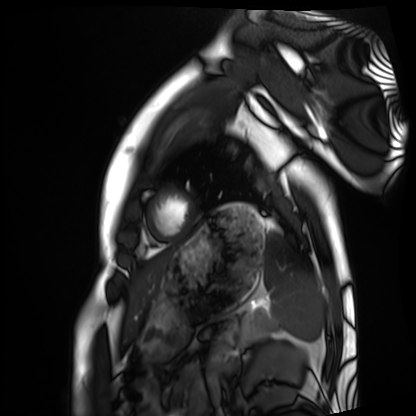
modality=cardiac MRI; subject group=healthy volunteer.